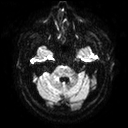
3 Tesla brain MRI. Series: diffusion tensor imaging (medium iso). Study: ring-enhancing brain masses.